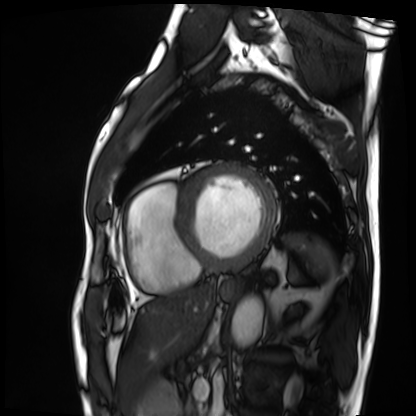
Cardiac MRI.
Subject group: patient.